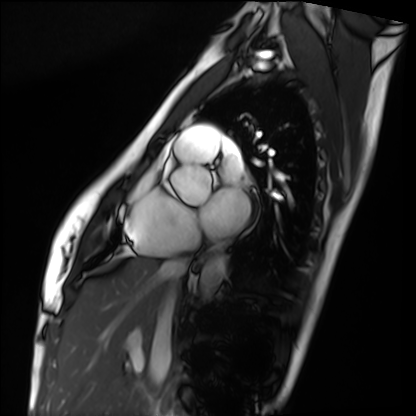
| field | value |
|---|---|
| modality | cardiac MRI |
| subject group | healthy volunteer |